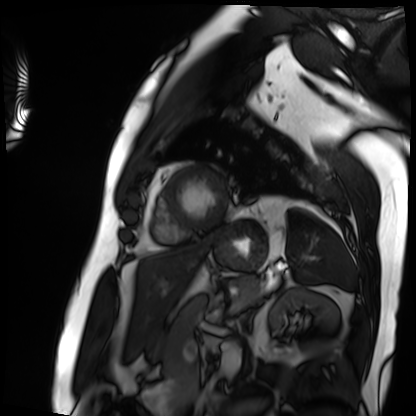
Clinical context: Cardiac MRI. Subject group: patient.